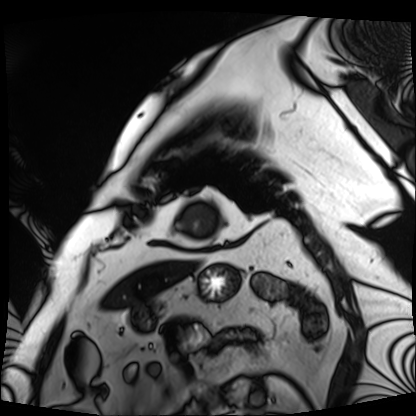
Case summary: Cardiac MRI. Subject group: patient.